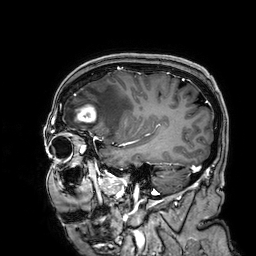
3 Tesla brain MRI.
Series: 3D T1-weighted.
Study: ring-enhancing brain masses.